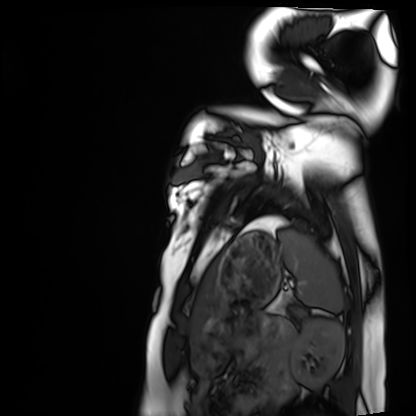
Cardiac MRI.
Subject group: healthy volunteer.